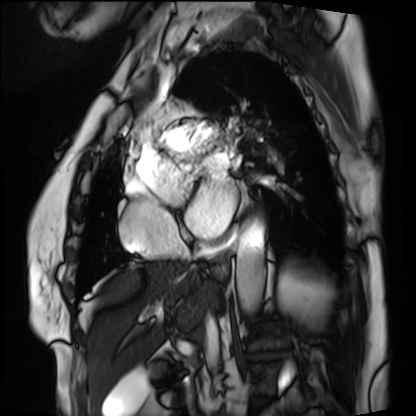
Case:
• modality · cardiac MRI
• subject group · patient